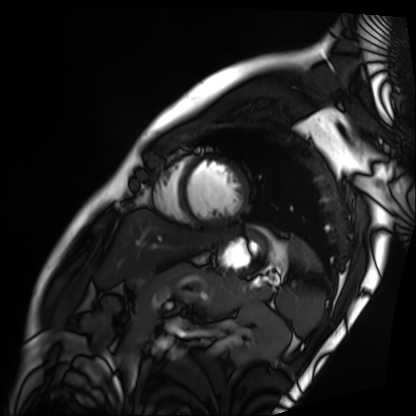
Cardiac MRI. Subject group: patient.